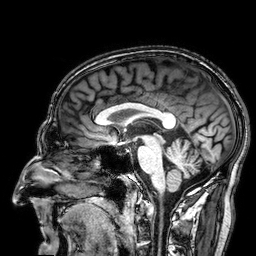
Case:
• modality: 3 Tesla brain MRI
• series: 3D T1-weighted
• study: ring-enhancing brain masses